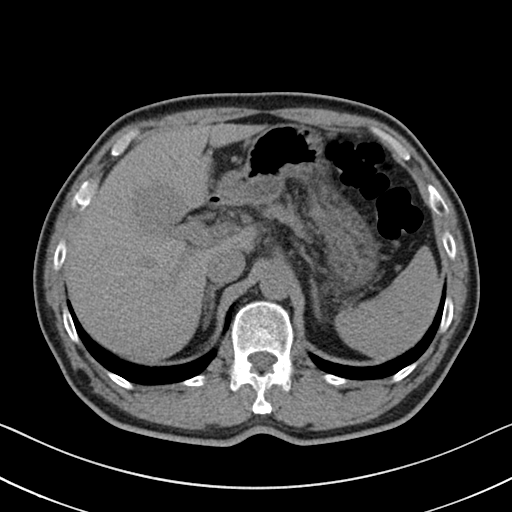
Multiphase abdominal CT, liver, non-contrast phase.
Patient: male, age 54.